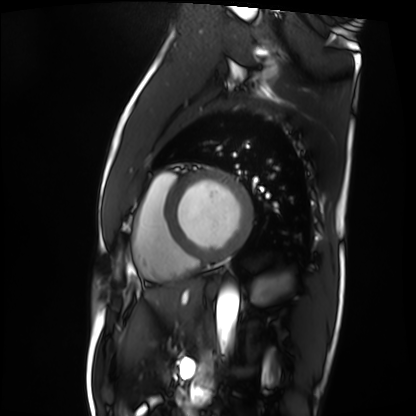
modality: cardiac MRI; subject group: patient.